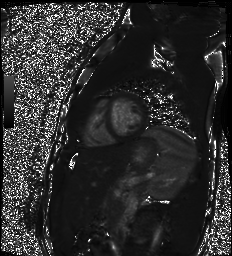
Q: What kind of scan is this?
A: Cardiac MR image of the myocardium.
Subject cohort: healthy volunteer.